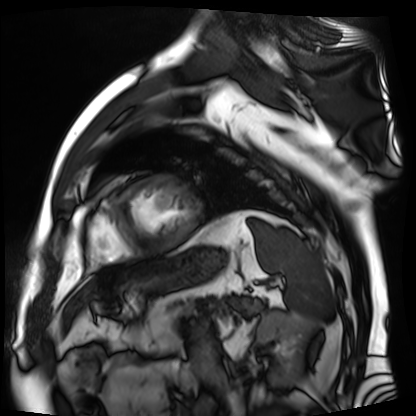
modality = cardiac MR image of the myocardium, subject cohort = cardiac patient.